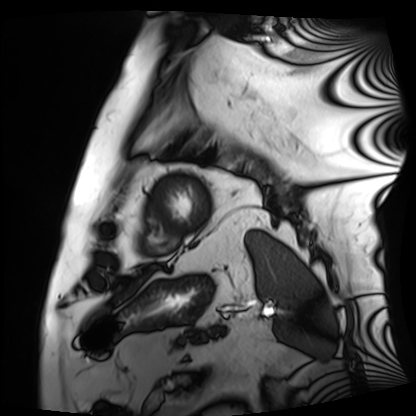
modality: cardiac MRI | subject group: patient.